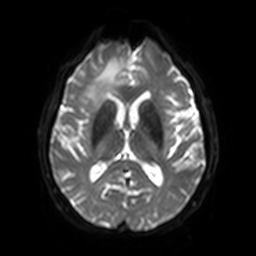
Summary: 3 Tesla brain MRI. Series: diffusion-weighted imaging with SENSE (WIP). Study: ring-enhancing brain masses.